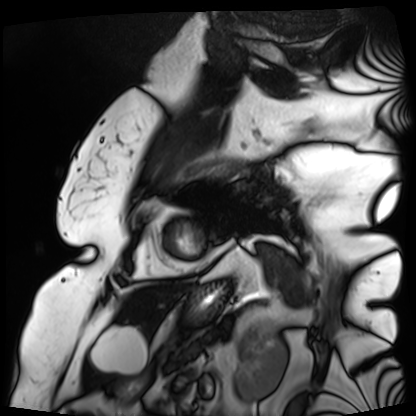
<case>
  <modality>cardiac MRI</modality>
  <cohort>patient</cohort>
</case>